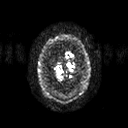
<scan>
  <modality>
    <type>brain MRI</type>
    <field_strength>3T</field_strength>
  </modality>
  <series>diffusion tensor imaging (medium iso)</series>
  <study_topic>ring-enhancing brain masses</study_topic>
</scan>